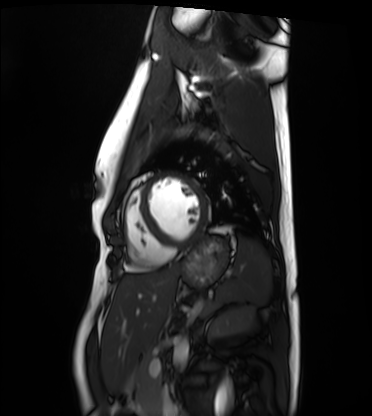
{"modality": "cardiac MRI", "cohort": "healthy volunteer"}